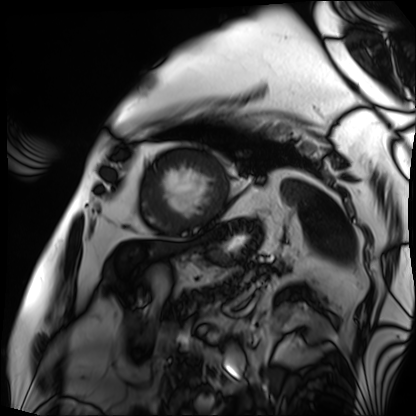
modality: cardiac MRI | subject group: patient.